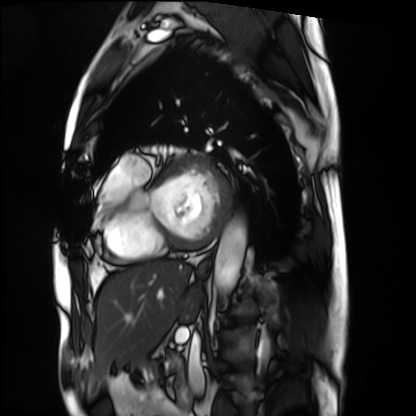
Case summary: Cardiac MRI. Subject group: patient.